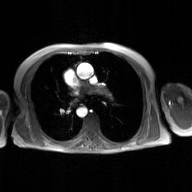
2D phase-contrast cine MRI of the ascending aorta, GAN super-resolution reconstruction.